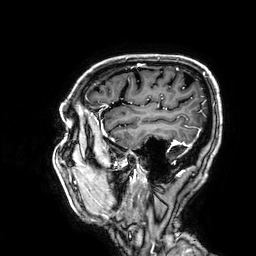
  modality:
    type: brain MRI
    field_strength: 3T
  series: 3D T1-weighted
  study_topic: ring-enhancing brain masses